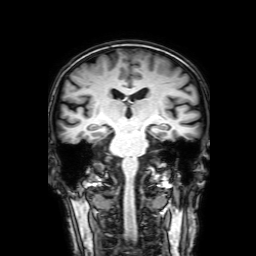
– modality: 3 Tesla brain MRI
– series: 3D T1-weighted with SENSE
– study: ring-enhancing brain masses